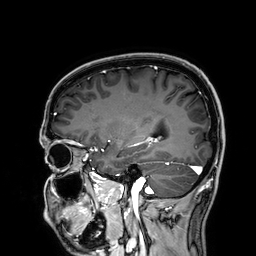
3 Tesla brain MRI.
Series: 3D T1-weighted.
Study: ring-enhancing brain masses.